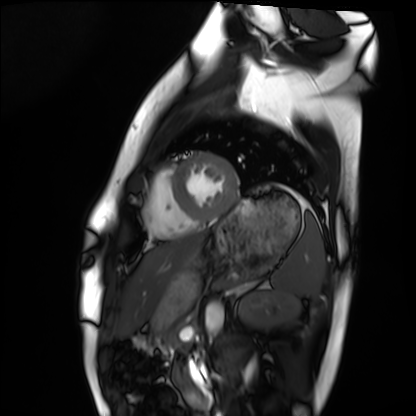
modality = cardiac MRI
subject group = healthy volunteer